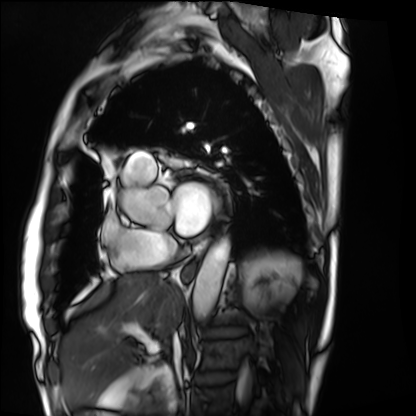
modality: cardiac MRI, subject group: patient.